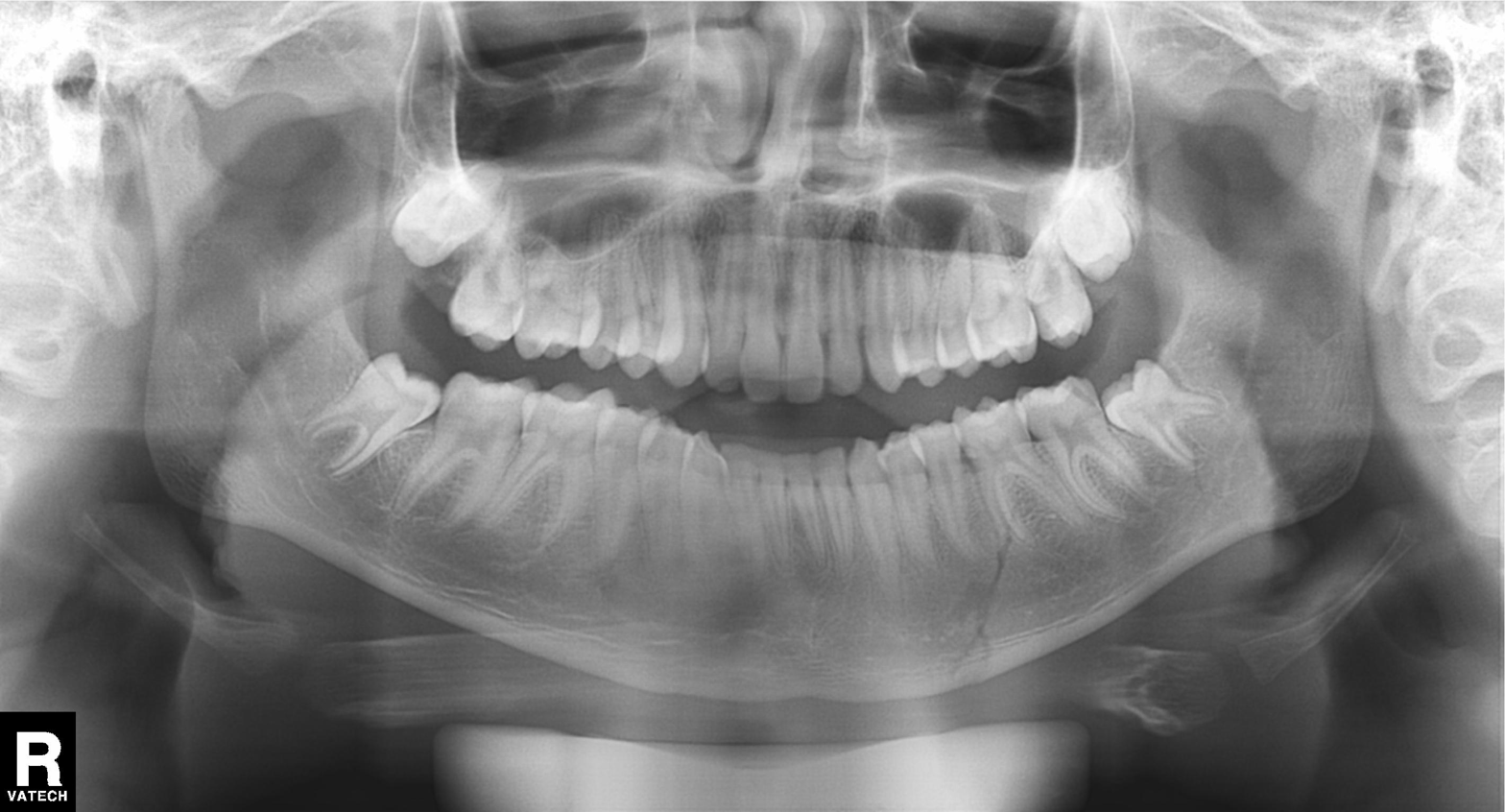
Panoramic dental radiograph (orthopantomogram). Finding: tooth impaction.